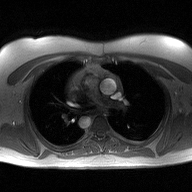
* modality: 2D phase-contrast cine MRI of the ascending aorta